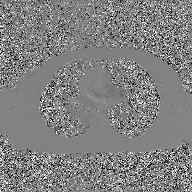
2D phase-contrast cine MRI of the ascending aorta, GAN super-resolution reconstruction.